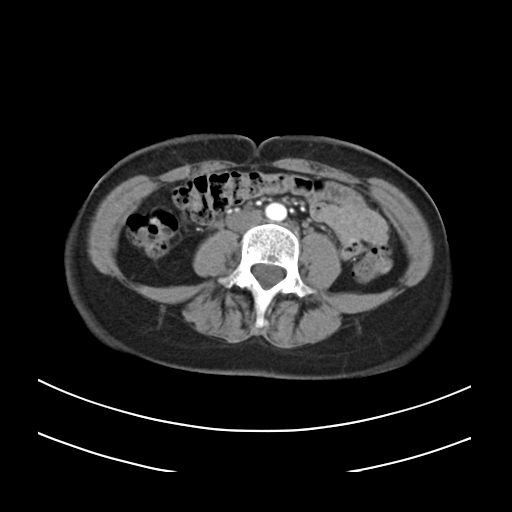
<record>
<modality>
  <type>multiphase abdominal CT</type>
  <region>liver</region>
  <phase>arterial</phase>
</modality>
<patient>
  <sex>female</sex>
  <age>39</age>
</patient>
<history>prior chemotherapy</history>
</record>